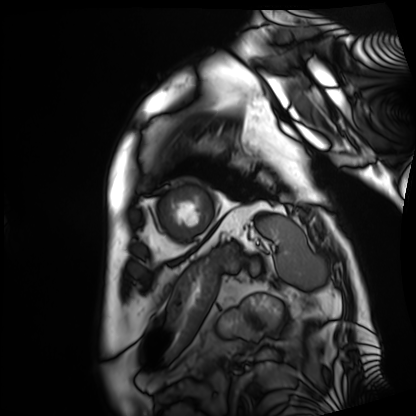
{"modality": "cardiac MRI", "cohort": "patient"}